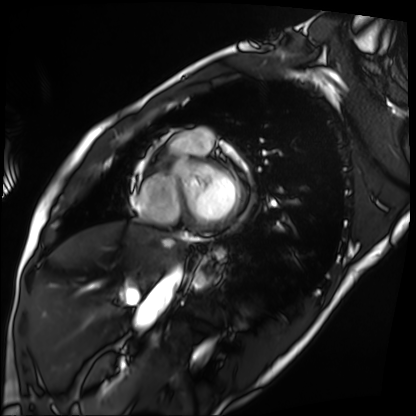
Cardiac MRI. Subject group: patient.